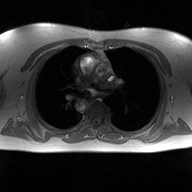
modality: 2D phase-contrast cine MRI of the ascending aorta.